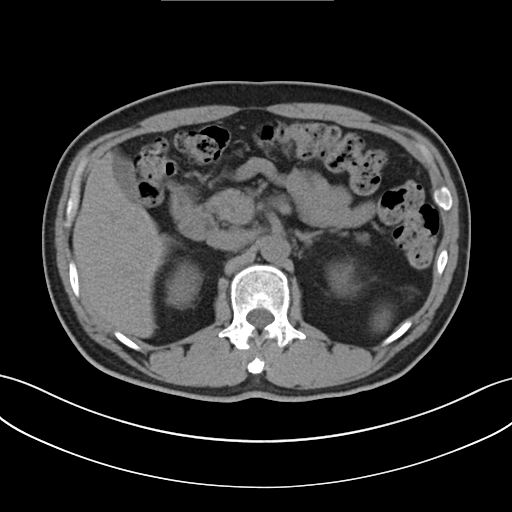
Clinical context:
Multiphase abdominal CT, liver, non-contrast phase. Patient: male, age 51.